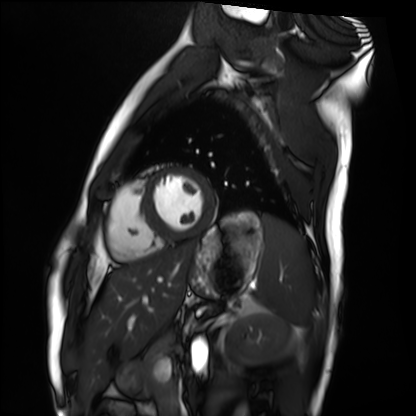
– modality — cardiac MRI
– subject group — healthy volunteer